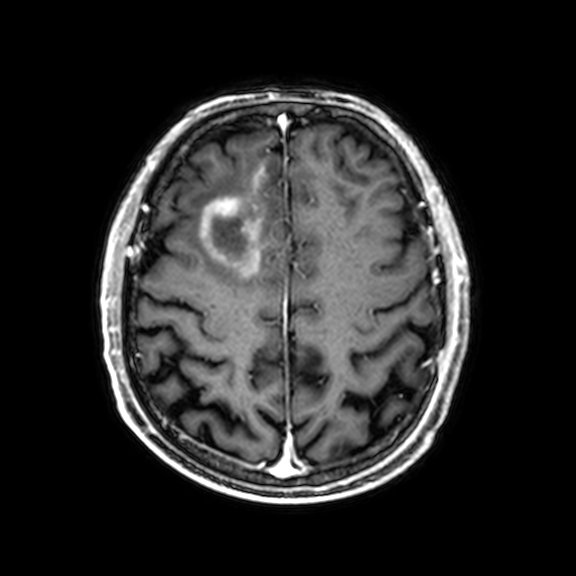
{
  "modality": {
    "type": "brain MRI",
    "field_strength": "3T"
  },
  "series": "3D T1-weighted with CLEAR",
  "study_topic": "ring-enhancing brain masses"
}